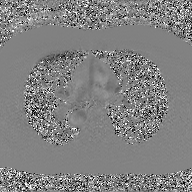
2D phase-contrast cine MRI of the ascending aorta, GAN super-resolution reconstruction.